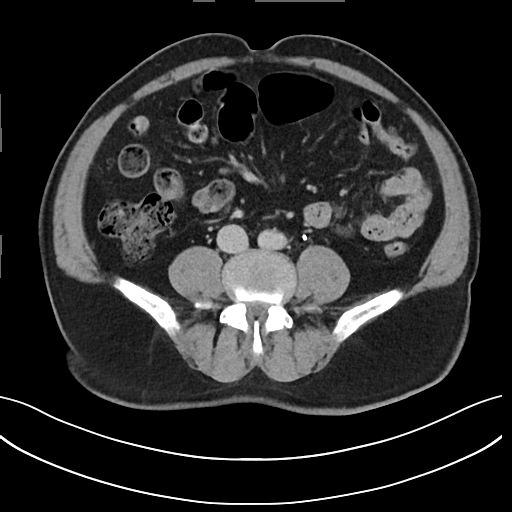
{
  "modality": {
    "type": "multiphase abdominal CT",
    "region": "liver",
    "phase": "delayed"
  },
  "patient": {
    "sex": "male",
    "age": 71
  },
  "history": [
    "viral hepatitis"
  ]
}